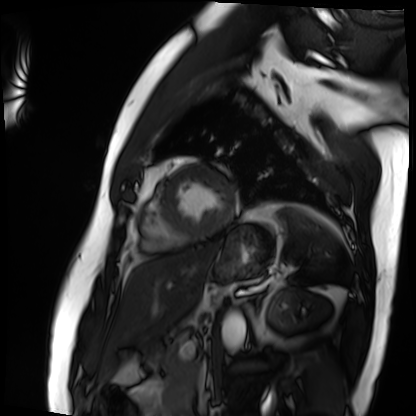
  modality: cardiac MRI
  cohort: patient